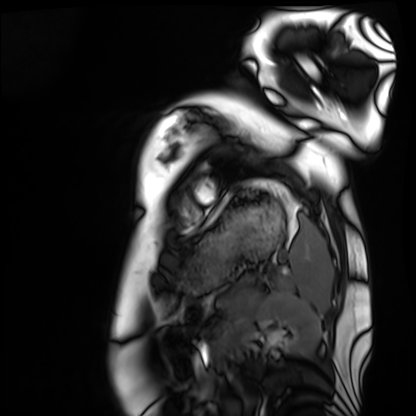
Case:
– modality — cardiac MRI
– subject group — healthy volunteer